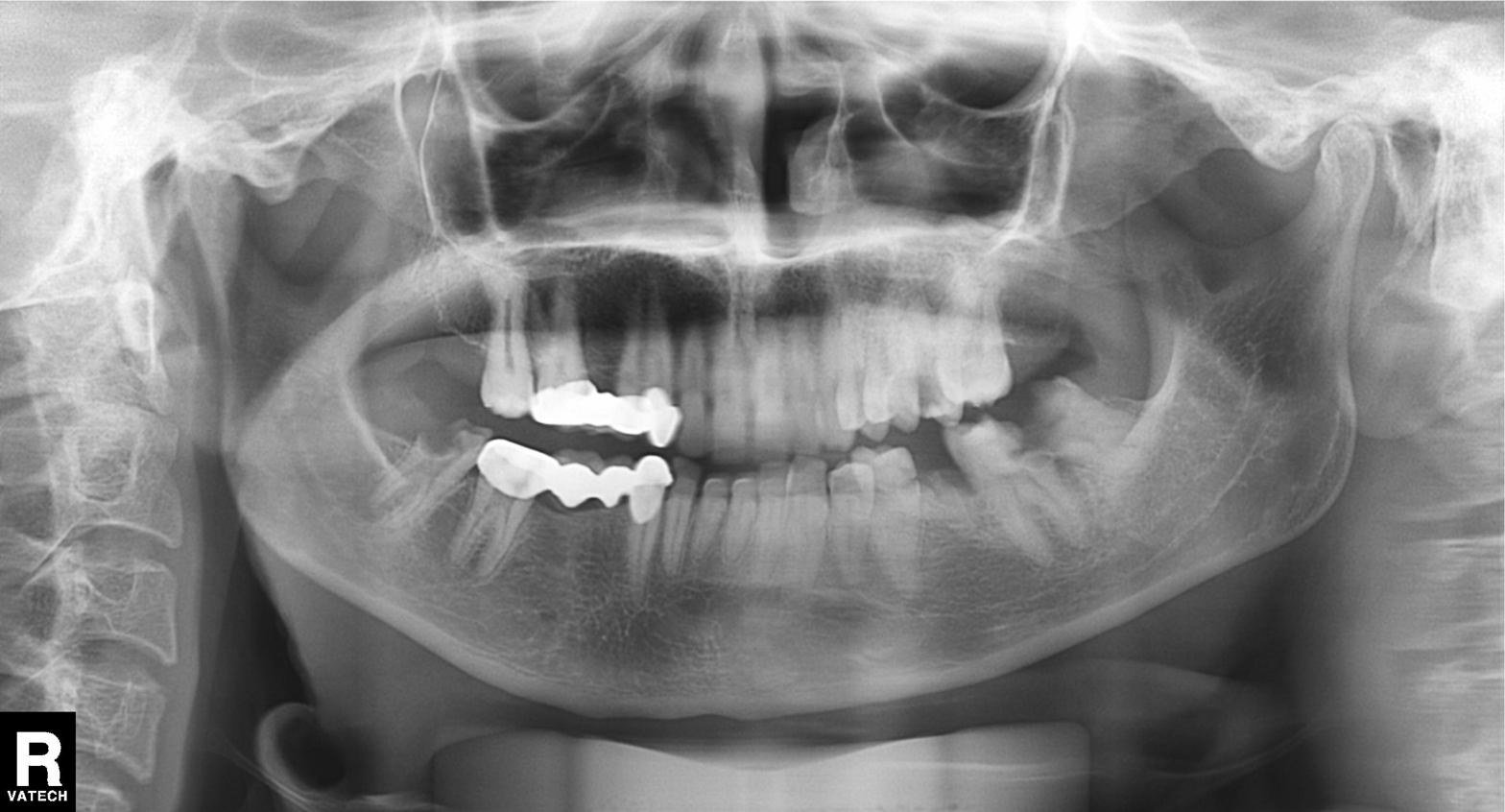
Q: What kind of scan is this?
A: Panoramic dental radiograph (orthopantomogram).
Q: What is the radiographic finding?
A: Tooth impaction.